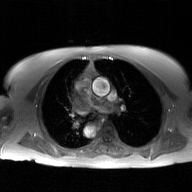
2D phase-contrast cine MRI of the ascending aorta, GAN super-resolution reconstruction.